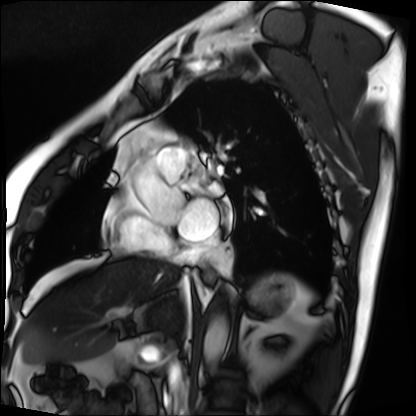
modality = cardiac MRI
subject group = patient